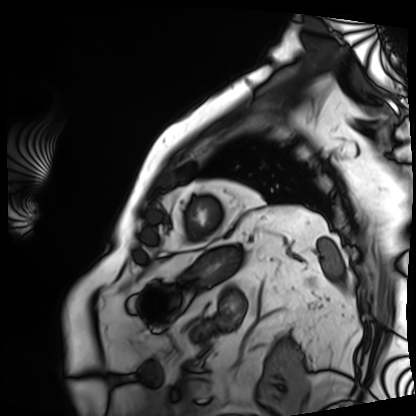
modality — cardiac MRI
subject group — patient